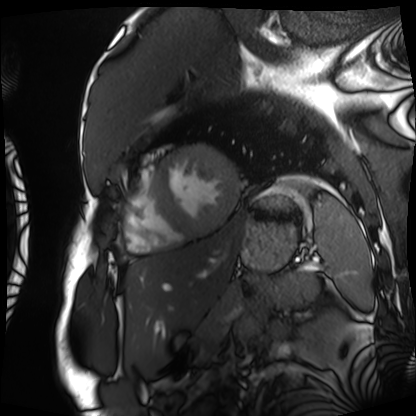
Cardiac MRI. Subject group: patient.